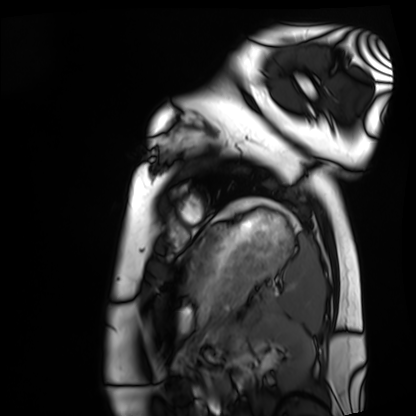
Case summary:
Cardiac MRI. Subject group: healthy volunteer.